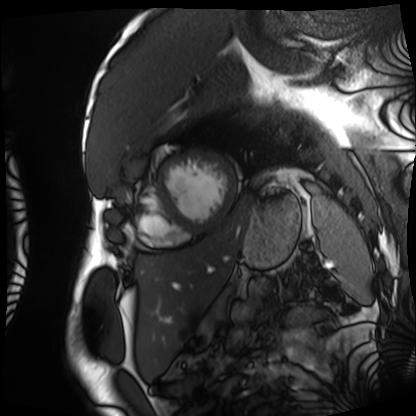
Clinical context:
Cardiac MRI. Subject group: patient.